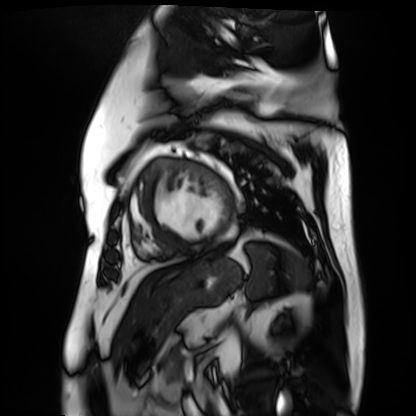
modality = cardiac MR image of the myocardium
subject cohort = cardiac patient